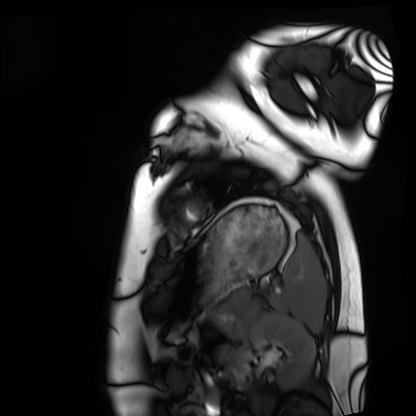
  modality: cardiac MRI
  cohort: healthy volunteer